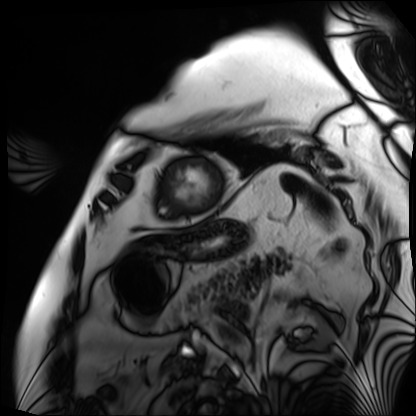
{
  "modality": "cardiac MRI",
  "cohort": "patient"
}